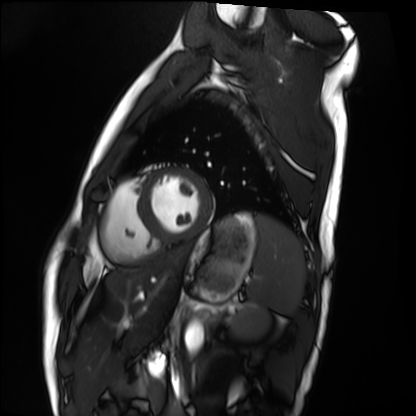
Case:
- modality · cardiac MRI
- subject group · healthy volunteer